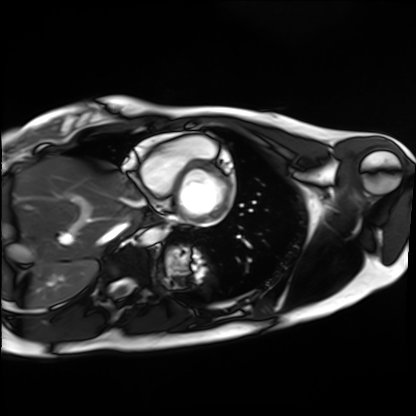
Q: What kind of scan is this?
A: Cardiac MRI.
Subject group: healthy volunteer.